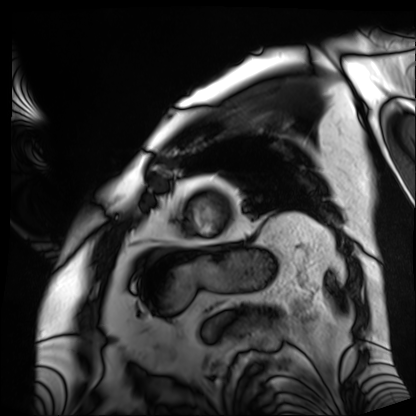
Cardiac MRI.
Subject group: patient.